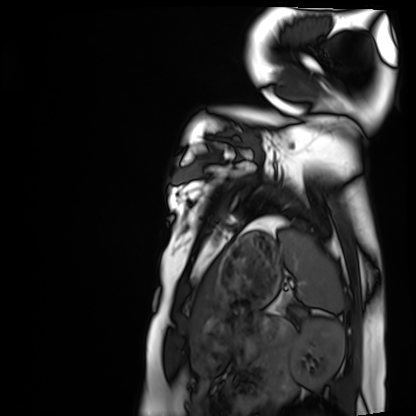
• modality · cardiac MRI
• subject group · healthy volunteer